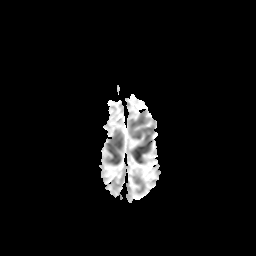
– modality · 3 Tesla brain MRI
– series · apparent diffusion coefficient (ADC) map
– study · ring-enhancing brain masses